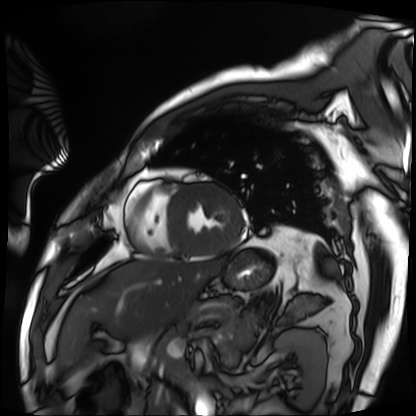
{"modality": "cardiac MRI", "cohort": "patient"}